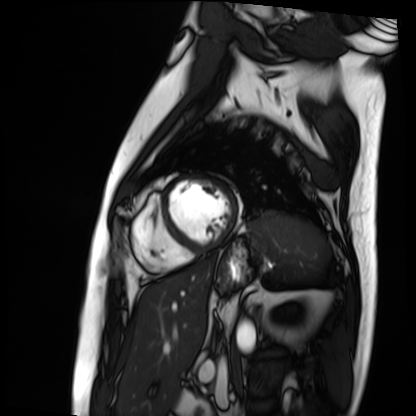
modality = cardiac MRI | subject group = patient.